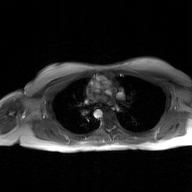
2D phase-contrast cine MRI of the ascending aorta, GAN super-resolution reconstruction.